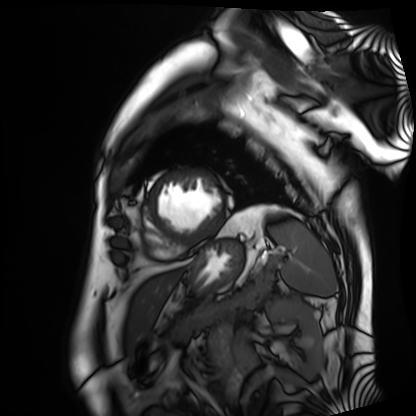
Cardiac MRI.
Subject group: patient.